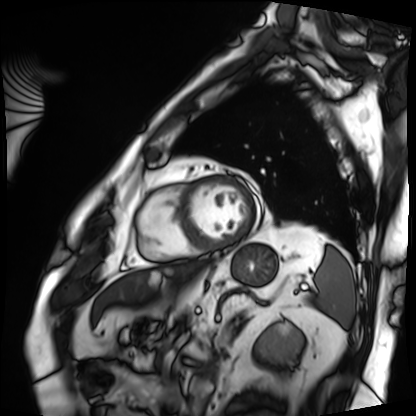
Case:
• modality — cardiac MRI
• subject group — patient